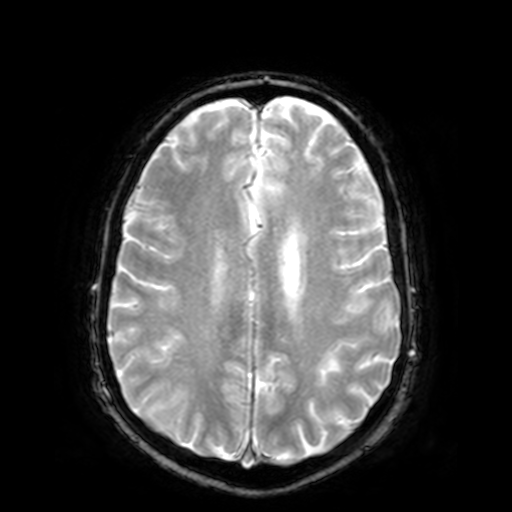
3 Tesla brain MRI.
Series: T2-weighted fast field echo.
Study: ring-enhancing brain masses.